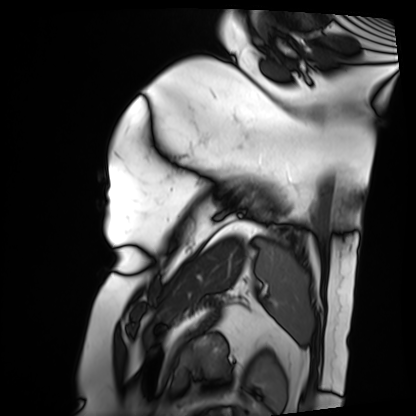
Cardiac MRI. Subject group: patient.